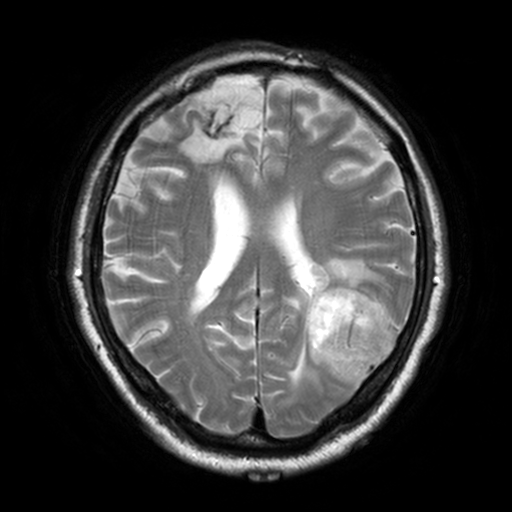
{
  "modality": {
    "type": "brain MRI",
    "field_strength": "3T"
  },
  "series": "T2-weighted turbo spin echo, 3 mm",
  "study_topic": "ring-enhancing brain masses"
}